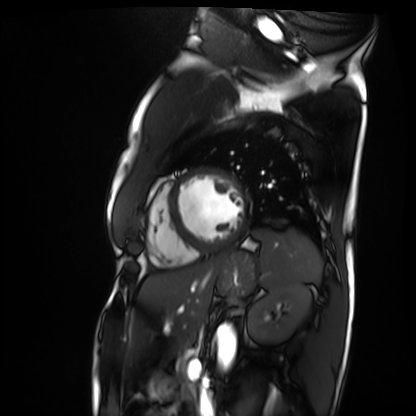
Summary: Cardiac MRI. Subject group: patient.